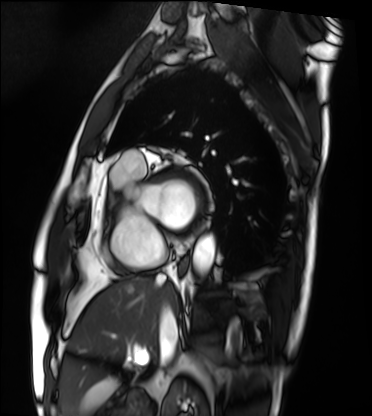
Cardiac MRI.
Subject group: patient.